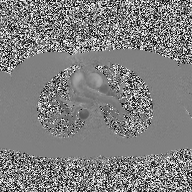
modality: 2D phase-contrast cine MRI of the ascending aorta.